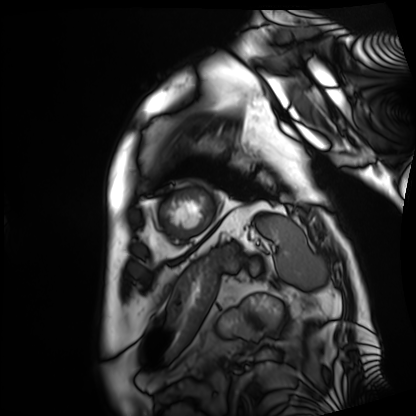
  modality: cardiac MRI
  cohort: patient